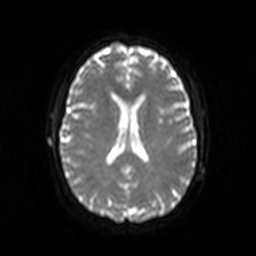
3 Tesla brain MRI. Series: diffusion-weighted imaging. Study: ring-enhancing brain masses.